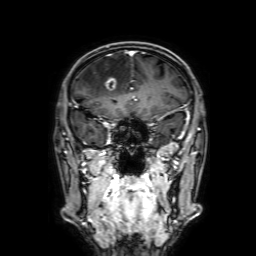
| field | value |
|---|---|
| modality | 3 Tesla brain MRI |
| series | 3D T1-weighted with SENSE |
| study | ring-enhancing brain masses |